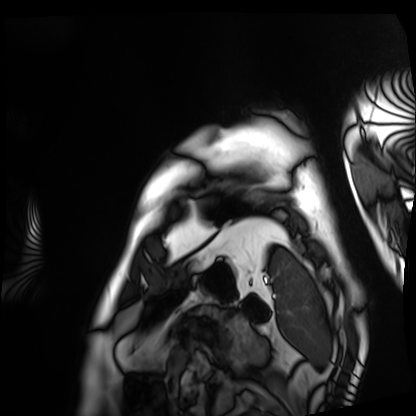
Cardiac MRI. Subject group: patient.